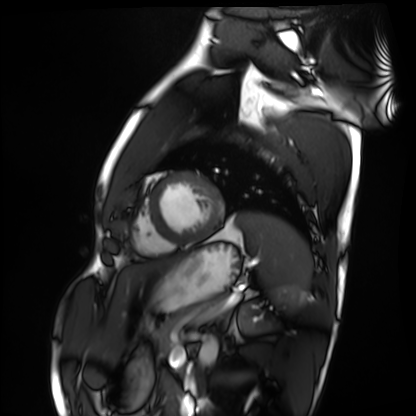
modality: cardiac MRI
subject group: healthy volunteer